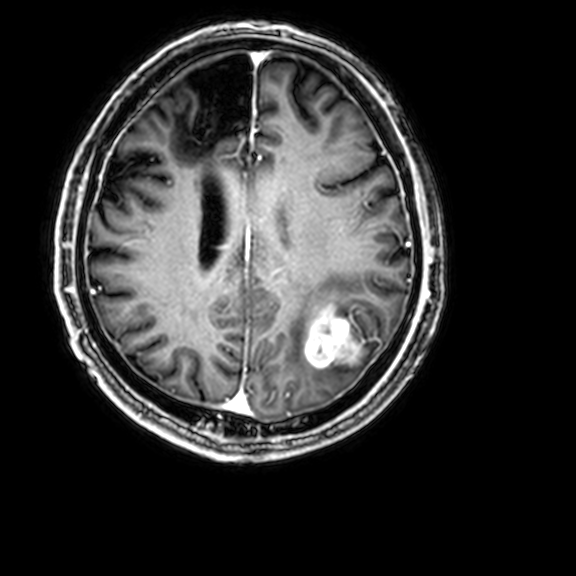
| field | value |
|---|---|
| modality | 3 Tesla brain MRI |
| series | 3D T1-weighted with CLEAR |
| study | ring-enhancing brain masses |